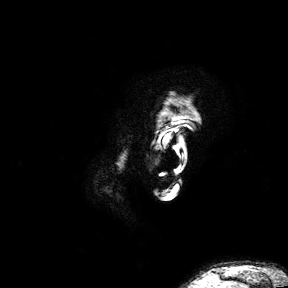
{"modality": {"type": "brain MRI", "field_strength": "3T"}, "series": "3D T1-weighted turbo field echo with SENSE", "study_topic": "ring-enhancing brain masses"}